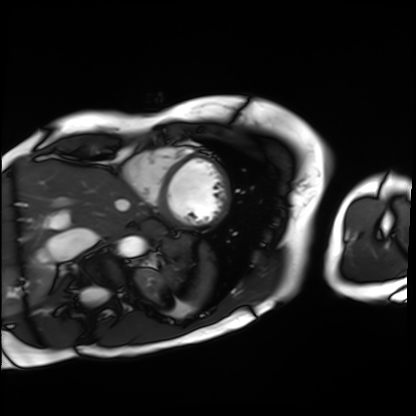
Summary: Cardiac MRI. Subject group: patient.